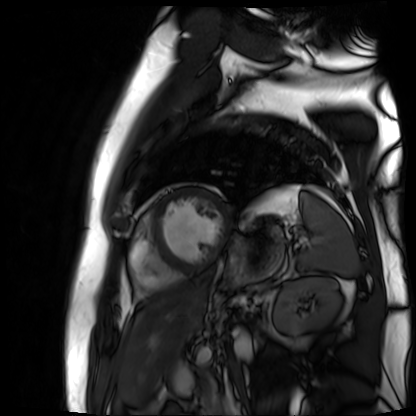
Cardiac MR image of the myocardium.
Subject cohort: cardiac patient.